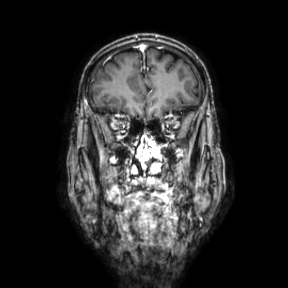
3 Tesla brain MRI. Series: coronal. Study: ring-enhancing brain masses.